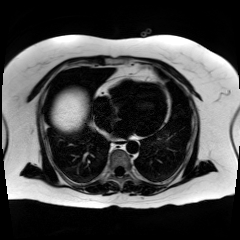
Chemical-shift-encoded cardiac MRI.